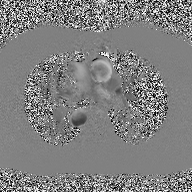
2D phase-contrast cine MRI of the ascending aorta, high-resolution GRAPPA acquisition.